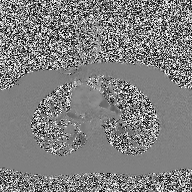
Summary:
2D phase-contrast cine MRI of the ascending aorta, high-resolution GRAPPA acquisition.